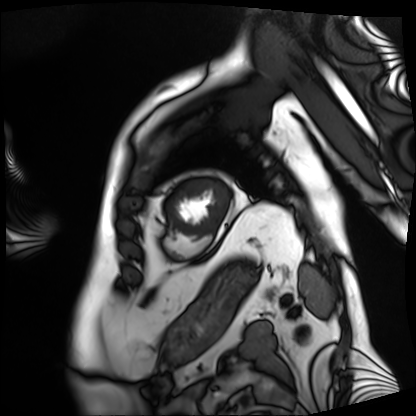
Cardiac MRI. Subject group: patient.